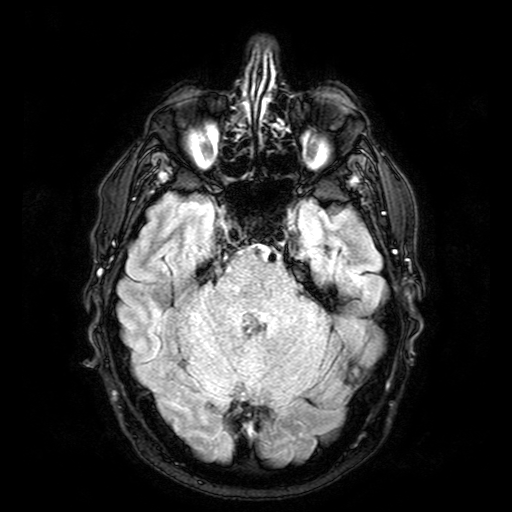
  modality:
    type: brain MRI
    field_strength: 3T
  series: FLAIR with SPAIR
  study_topic: ring-enhancing brain masses